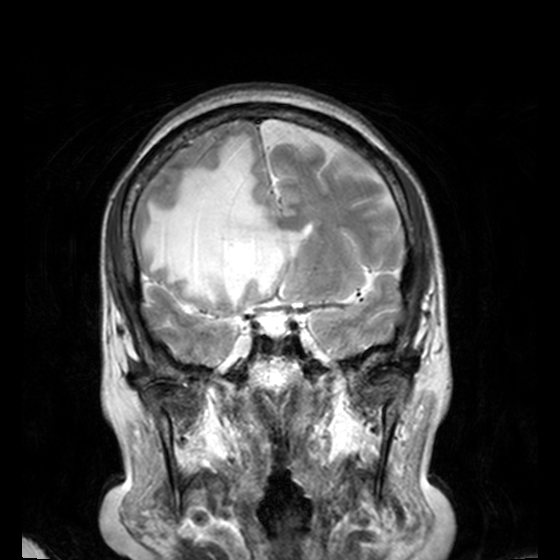
  modality:
    type: brain MRI
    field_strength: 3T
  series: T2-weighted turbo spin echo, 3 mm
  study_topic: ring-enhancing brain masses